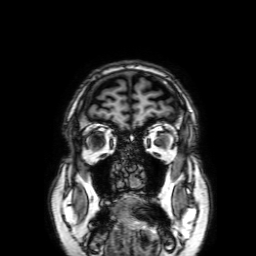
3 Tesla brain MRI.
Series: 3D T1-weighted with SENSE.
Study: ring-enhancing brain masses.